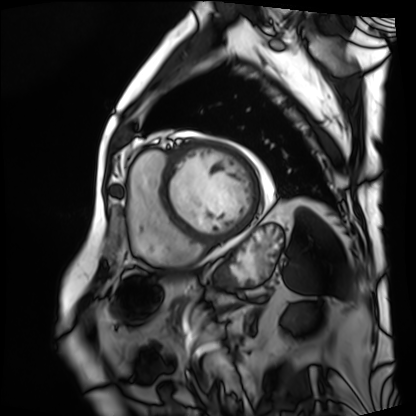
Summary: Cardiac MRI. Subject group: patient.